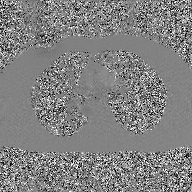
modality:
  type: 2D phase-contrast cine MRI
  region: ascending aorta
  reconstruction: GAN super-resolution reconstruction